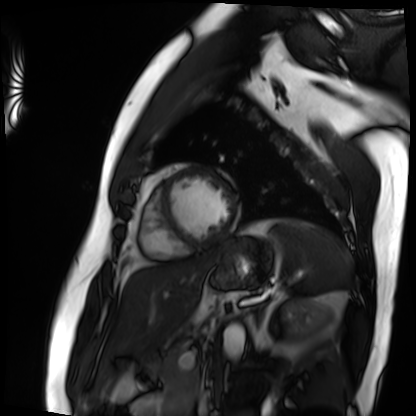
Q: What kind of scan is this?
A: Cardiac MRI.
Subject group: patient.